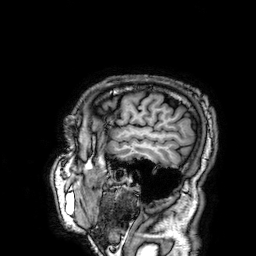
modality = 3 Tesla brain MRI; series = 3D T1-weighted; study = ring-enhancing brain masses.